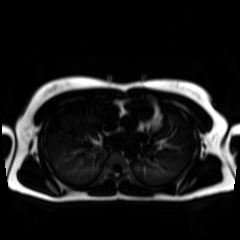
Summary: Chemical-shift-encoded cardiac MRI.